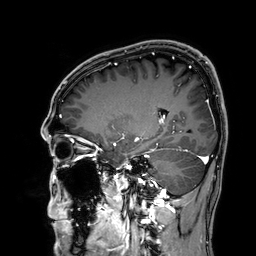
Clinical context:
3 Tesla brain MRI. Series: 3D T1-weighted. Study: ring-enhancing brain masses.